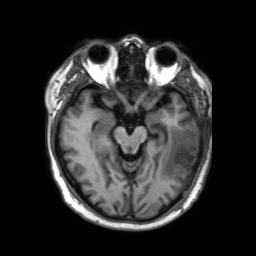
3 Tesla brain MRI.
Series: 3D T1-weighted TFE with SENSE.
Study: ring-enhancing brain masses.